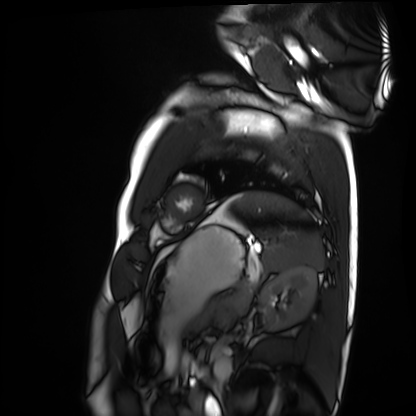
Cardiac MRI.
Subject group: healthy volunteer.